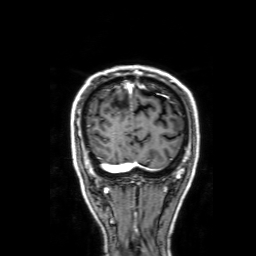
<study>
<modality>
  <type>brain MRI</type>
  <field_strength>3T</field_strength>
</modality>
<series>3D T1-weighted with SENSE</series>
<study_topic>ring-enhancing brain masses</study_topic>
</study>